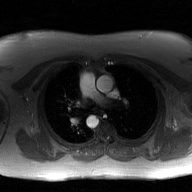
Summary: 2D phase-contrast cine MRI of the ascending aorta, GAN super-resolution reconstruction.